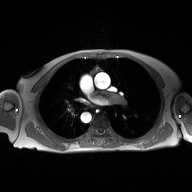
Case summary:
2D phase-contrast cine MRI of the ascending aorta, high-resolution GRAPPA acquisition.